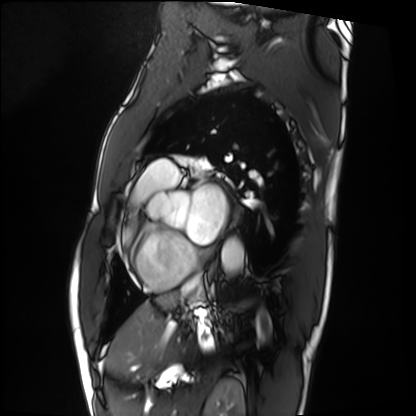
modality = cardiac MRI | subject group = patient.